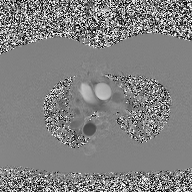
Summary:
2D phase-contrast cine MRI of the ascending aorta, high-resolution GRAPPA acquisition.